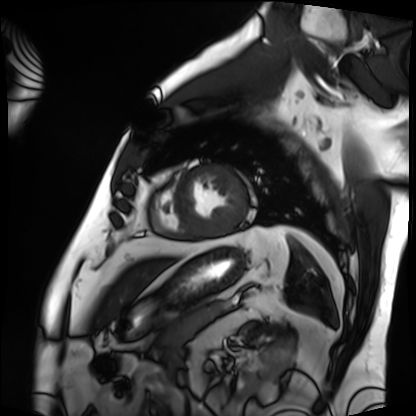
Cardiac MRI.
Subject group: patient.